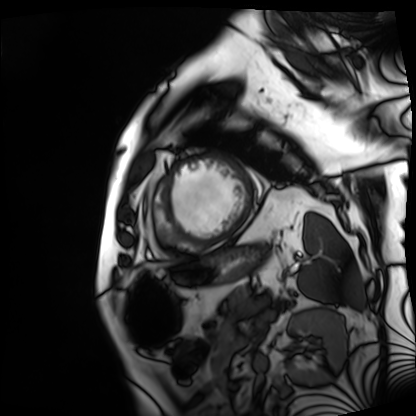
Cardiac MRI.
Subject group: patient.